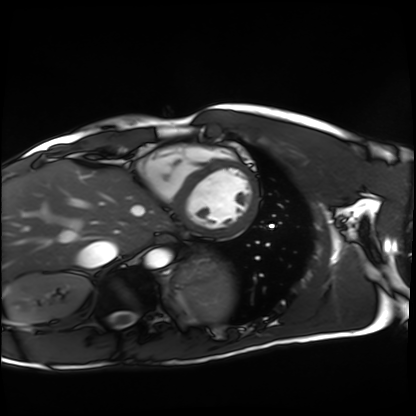
modality=cardiac MRI
subject group=healthy volunteer